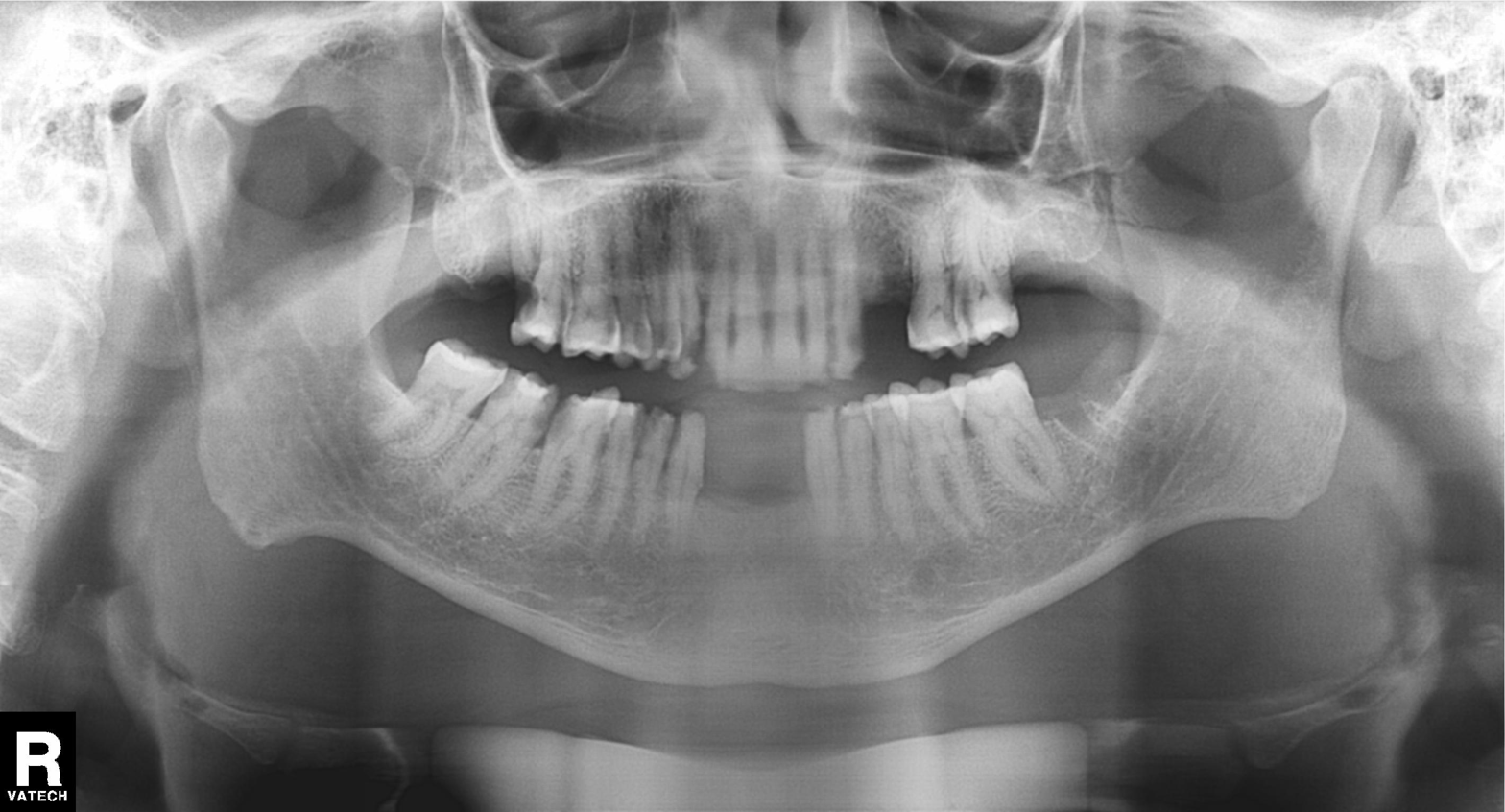
<study>
  <modality>panoramic dental radiograph (orthopantomogram)</modality>
  <finding>alveolar bone loss</finding>
</study>